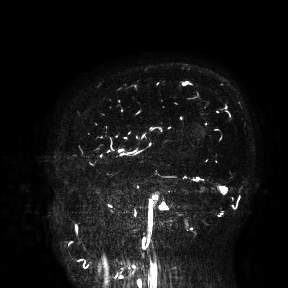
<scan>
  <modality>
    <type>brain MRI</type>
    <field_strength>3T</field_strength>
  </modality>
  <study_topic>ring-enhancing brain masses</study_topic>
</scan>